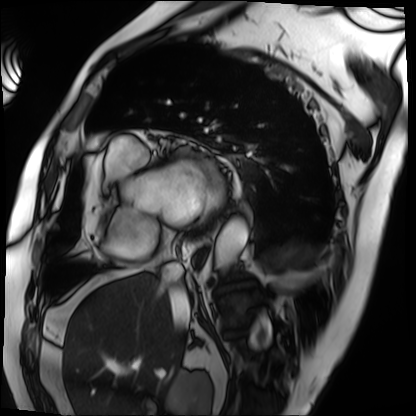
Cardiac MRI.
Subject group: patient.